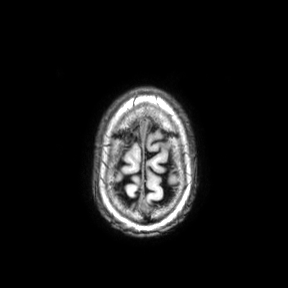
Case summary: 3 Tesla brain MRI. Series: axial. Study: ring-enhancing brain masses.